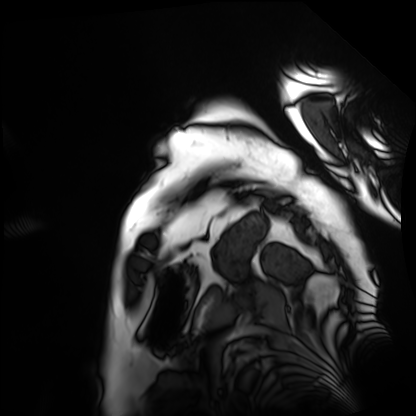
Cardiac MRI.
Subject group: patient.